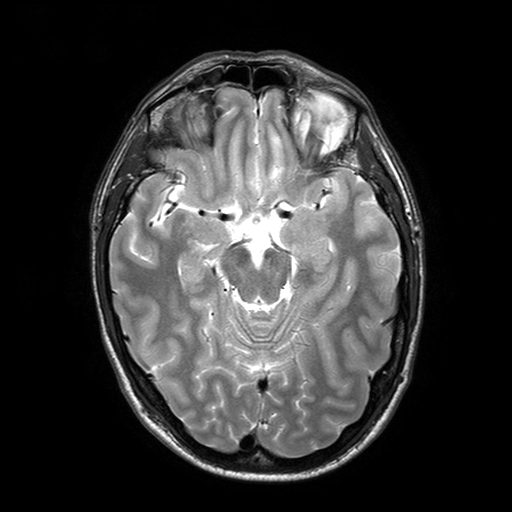
Summary: 3 Tesla brain MRI. Series: T2-weighted turbo spin echo with SENSE. Study: ring-enhancing brain masses.